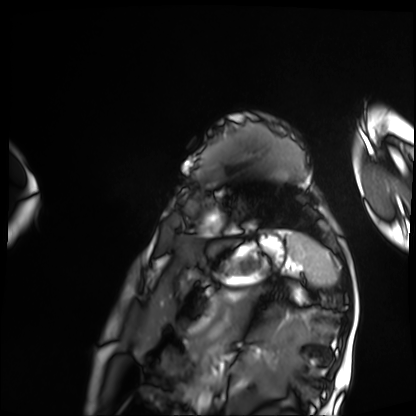
modality: cardiac MRI
cohort: patient